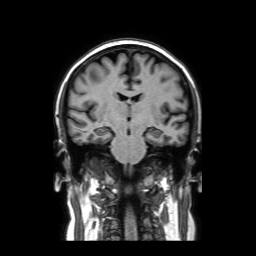
modality:
  type: brain MRI
  field_strength: 3T
series: coronal without contrast
study_topic: ring-enhancing brain masses